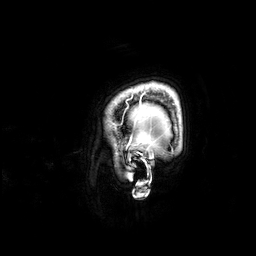
Clinical context:
3 Tesla brain MRI. Series: 3D T1-weighted. Study: ring-enhancing brain masses.